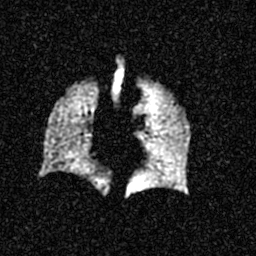
| field | value |
|---|---|
| modality | hyperpolarized 129Xe ventilation MRI of the lungs |
| SNR level | 4 of 8 (the deposit holds this scan as its native image and as seven SNR-degraded versions) |